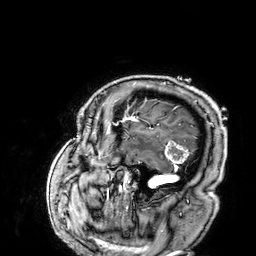
3 Tesla brain MRI. Series: 3D T1-weighted. Study: ring-enhancing brain masses.